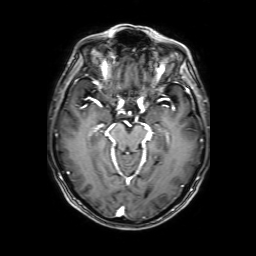
– modality — 3 Tesla brain MRI
– series — 3D T1-weighted with SENSE
– study — ring-enhancing brain masses